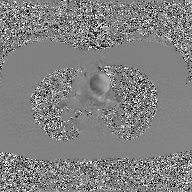
modality = 2D phase-contrast cine MRI of the ascending aorta, GAN super-resolution reconstruction.